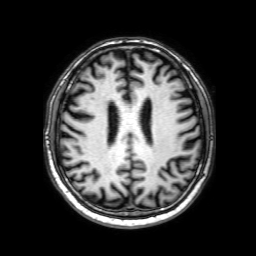
modality: 3 Tesla brain MRI
series: 3D T1-weighted with SENSE
study: ring-enhancing brain masses